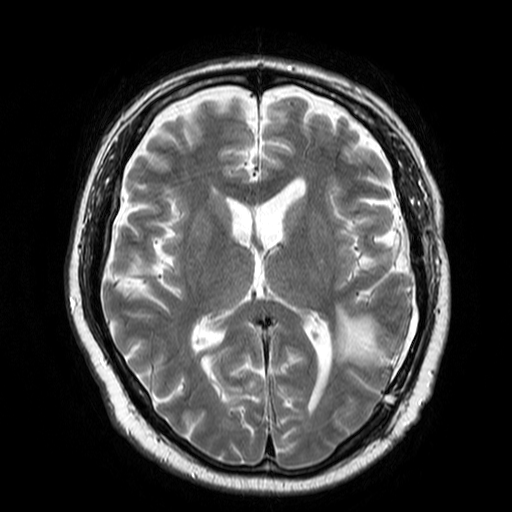
Summary:
3 Tesla brain MRI. Series: T2-weighted turbo spin echo. Study: ring-enhancing brain masses.